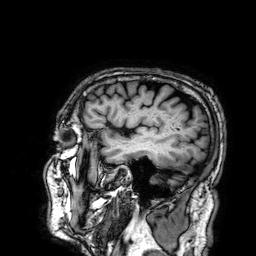
3 Tesla brain MRI. Series: 3D T1-weighted. Study: ring-enhancing brain masses.